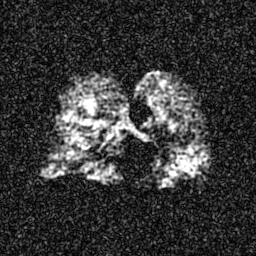
Summary: Hyperpolarized 129Xe ventilation MRI of the lungs. SNR level 6 of 8 (the deposit holds this scan as its native image and as seven SNR-degraded versions).